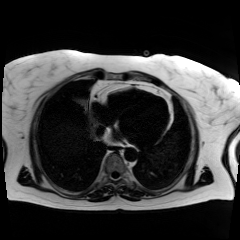
modality — chemical-shift-encoded cardiac MRI.